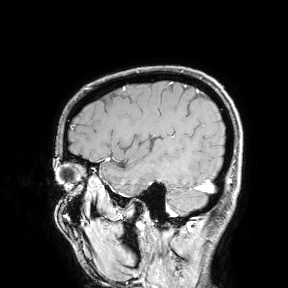
| field | value |
|---|---|
| modality | 3 Tesla brain MRI |
| study | ring-enhancing brain masses |